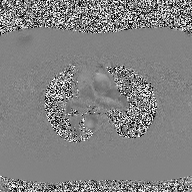
  modality:
    type: 2D phase-contrast cine MRI
    region: ascending aorta
    reconstruction: high-resolution GRAPPA acquisition